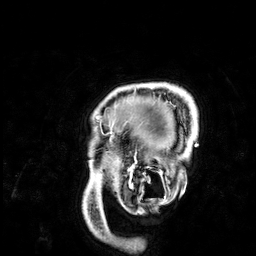
modality: 3 Tesla brain MRI
series: 3D T1-weighted
study: ring-enhancing brain masses